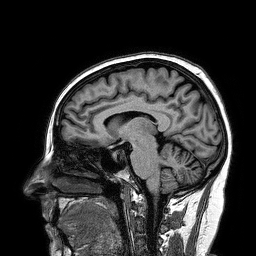
modality=3 Tesla brain MRI; series=3D T1-weighted turbo field echo; study=ring-enhancing brain masses.